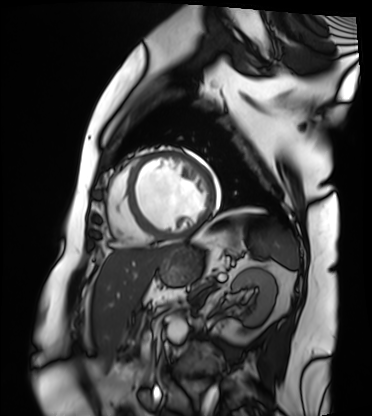
| field | value |
|---|---|
| modality | cardiac MRI |
| subject group | patient |